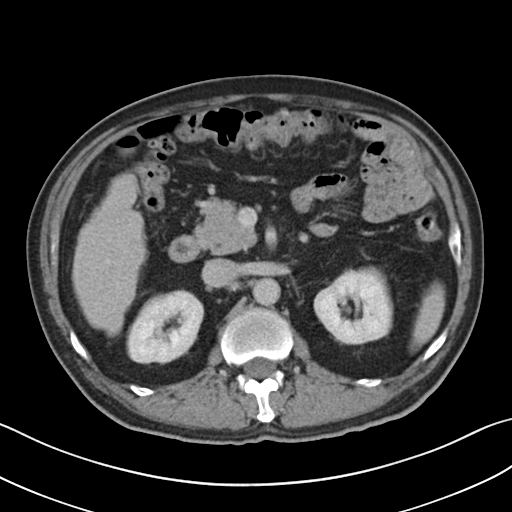
• modality — multiphase abdominal CT, liver, delayed phase
• patient — male, age 60